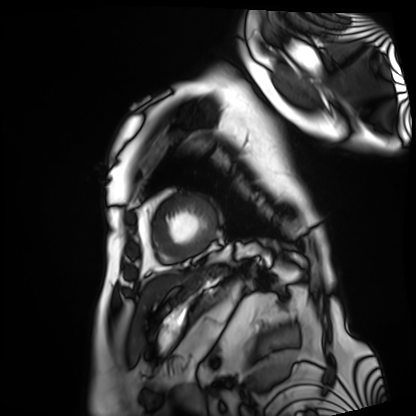
modality: cardiac MRI
subject group: patient